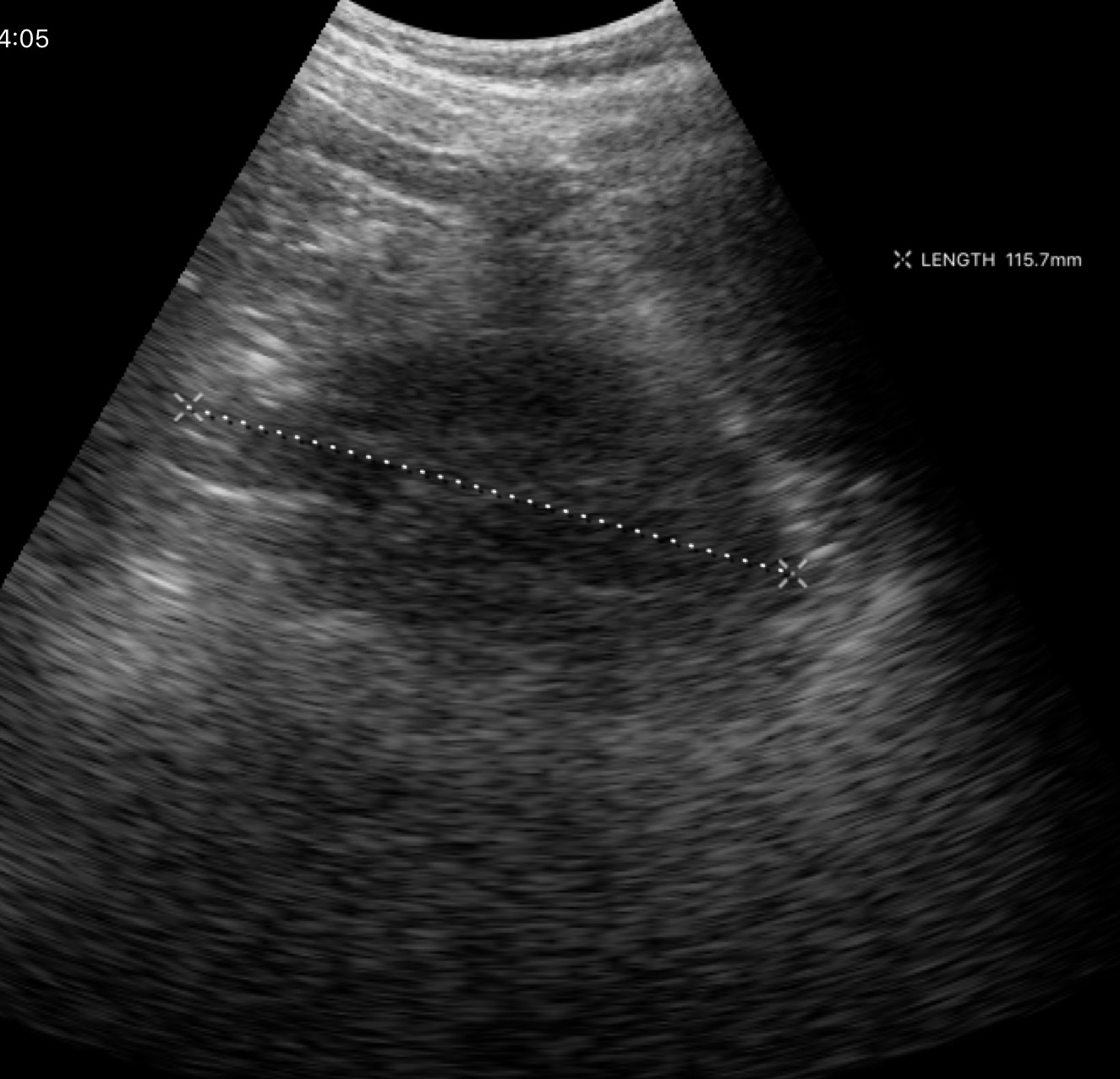
Genitourinary ultrasound.